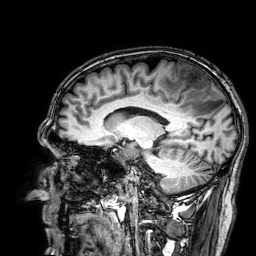
modality: 3 Tesla brain MRI; series: 3D T1-weighted; study: ring-enhancing brain masses.